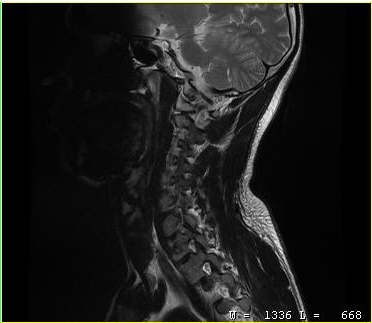
  modality:
    type: cervical spine MRI
  study_topic: cervical spondylosis